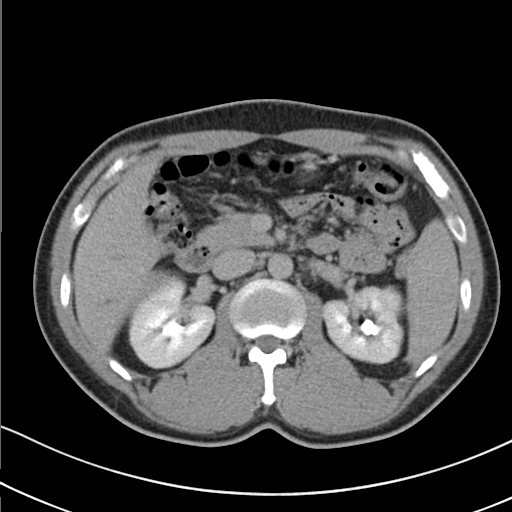
modality: multiphase abdominal CT, liver, delayed phase | patient: male, age 41 | history: cirrhosis, viral hepatitis.